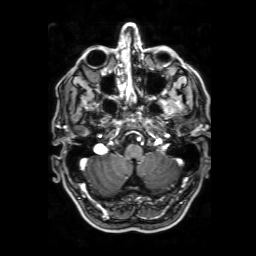
3 Tesla brain MRI. Series: 3D T1-weighted with SENSE. Study: ring-enhancing brain masses.